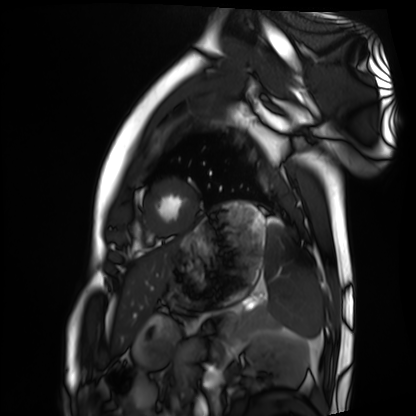
{
  "modality": "cardiac MRI",
  "cohort": "healthy volunteer"
}